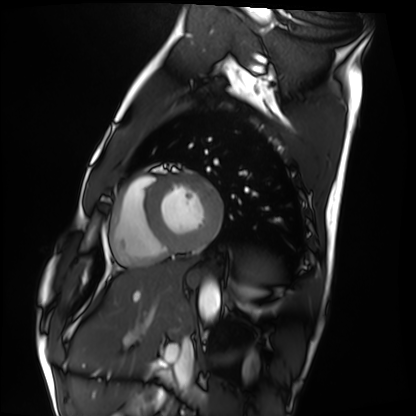
Cardiac MRI.
Subject group: healthy volunteer.